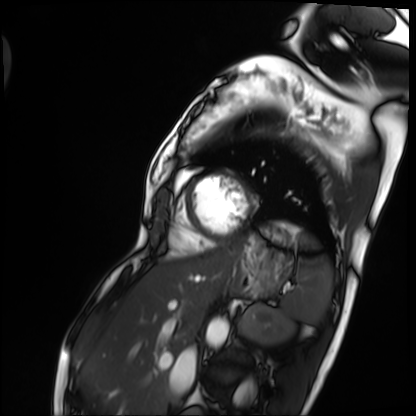
- modality · cardiac MRI
- subject group · patient